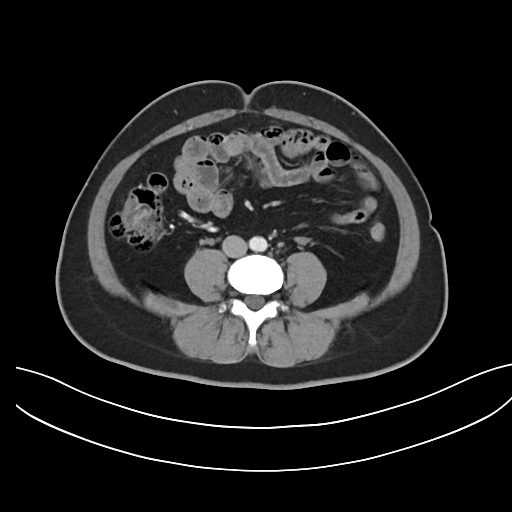
modality: multiphase abdominal CT, liver, arterial phase
patient: female, age 43